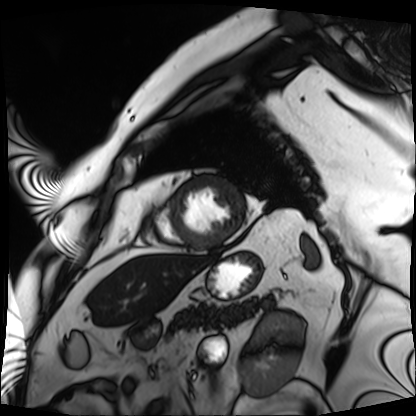
Cardiac MRI. Subject group: patient.